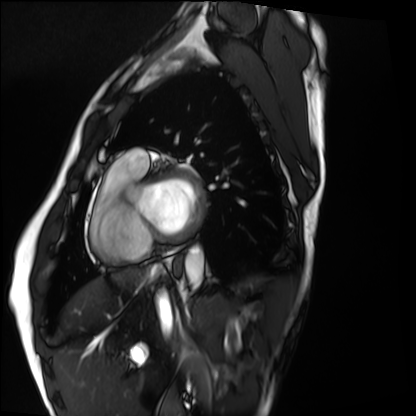
{
  "modality": "cardiac MRI",
  "cohort": "healthy volunteer"
}